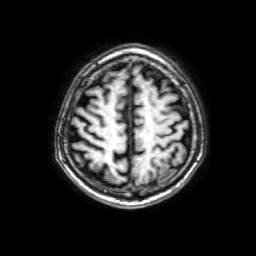
Clinical context:
3 Tesla brain MRI. Series: 3D T1-weighted with SENSE. Study: ring-enhancing brain masses.